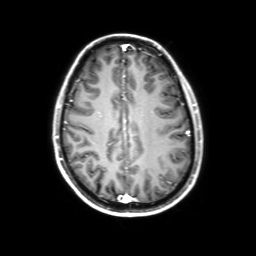
{"modality": {"type": "brain MRI", "field_strength": "3T"}, "series": "3D T1-weighted with SENSE", "study_topic": "ring-enhancing brain masses"}